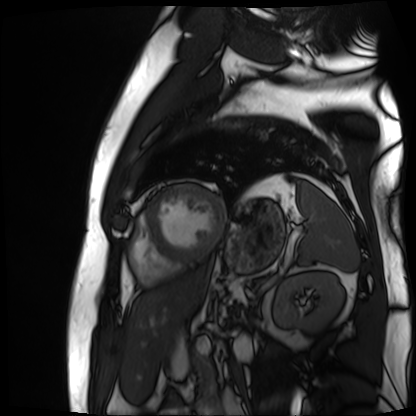
Case summary: Cardiac MR image of the myocardium. Subject cohort: cardiac patient.